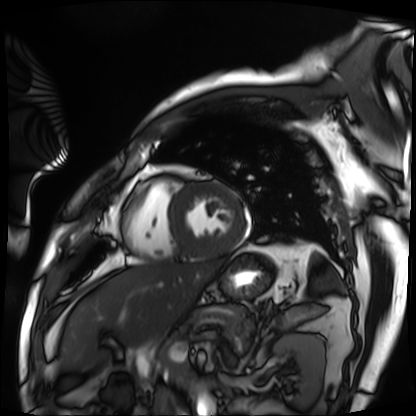
Cardiac MRI.
Subject group: patient.